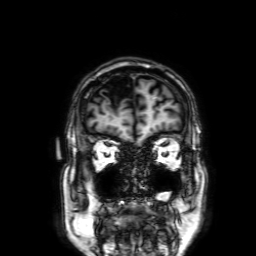
3 Tesla brain MRI.
Series: 3D T1-weighted with SENSE.
Study: ring-enhancing brain masses.